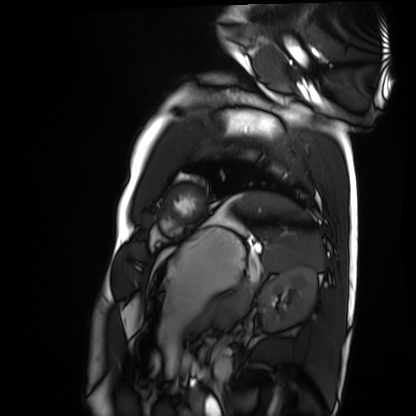
– modality: cardiac MRI
– subject group: healthy volunteer